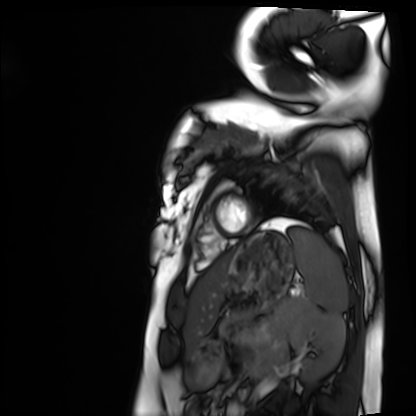
modality: cardiac MRI
subject group: healthy volunteer